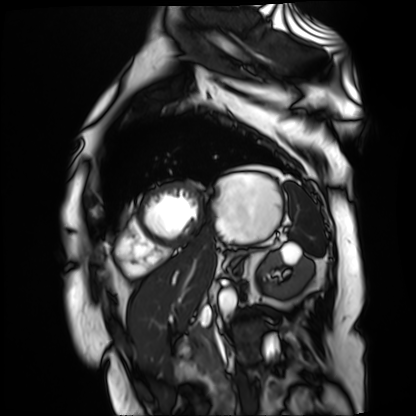
Case summary: Cardiac MR image of the myocardium. Subject cohort: cardiac patient.